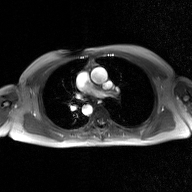
2D phase-contrast cine MRI of the ascending aorta, GAN super-resolution reconstruction.